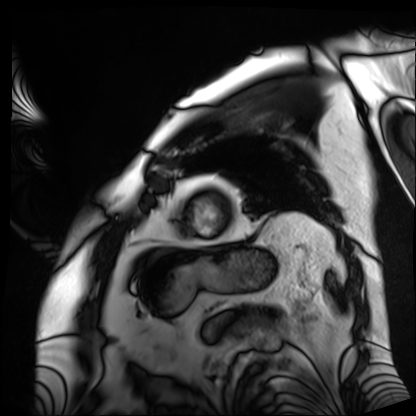
{
  "modality": "cardiac MRI",
  "cohort": "patient"
}